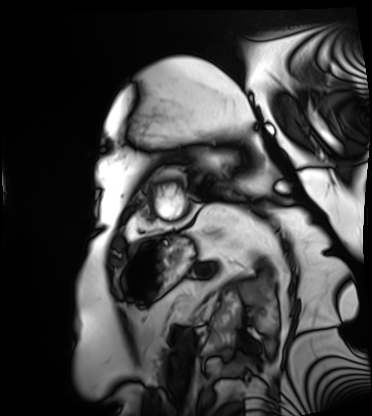
Cardiac MRI.
Subject group: patient.